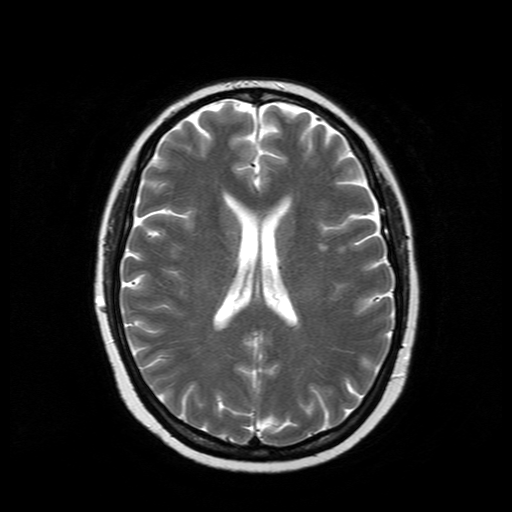
3 Tesla brain MRI.
Study: ring-enhancing brain masses.